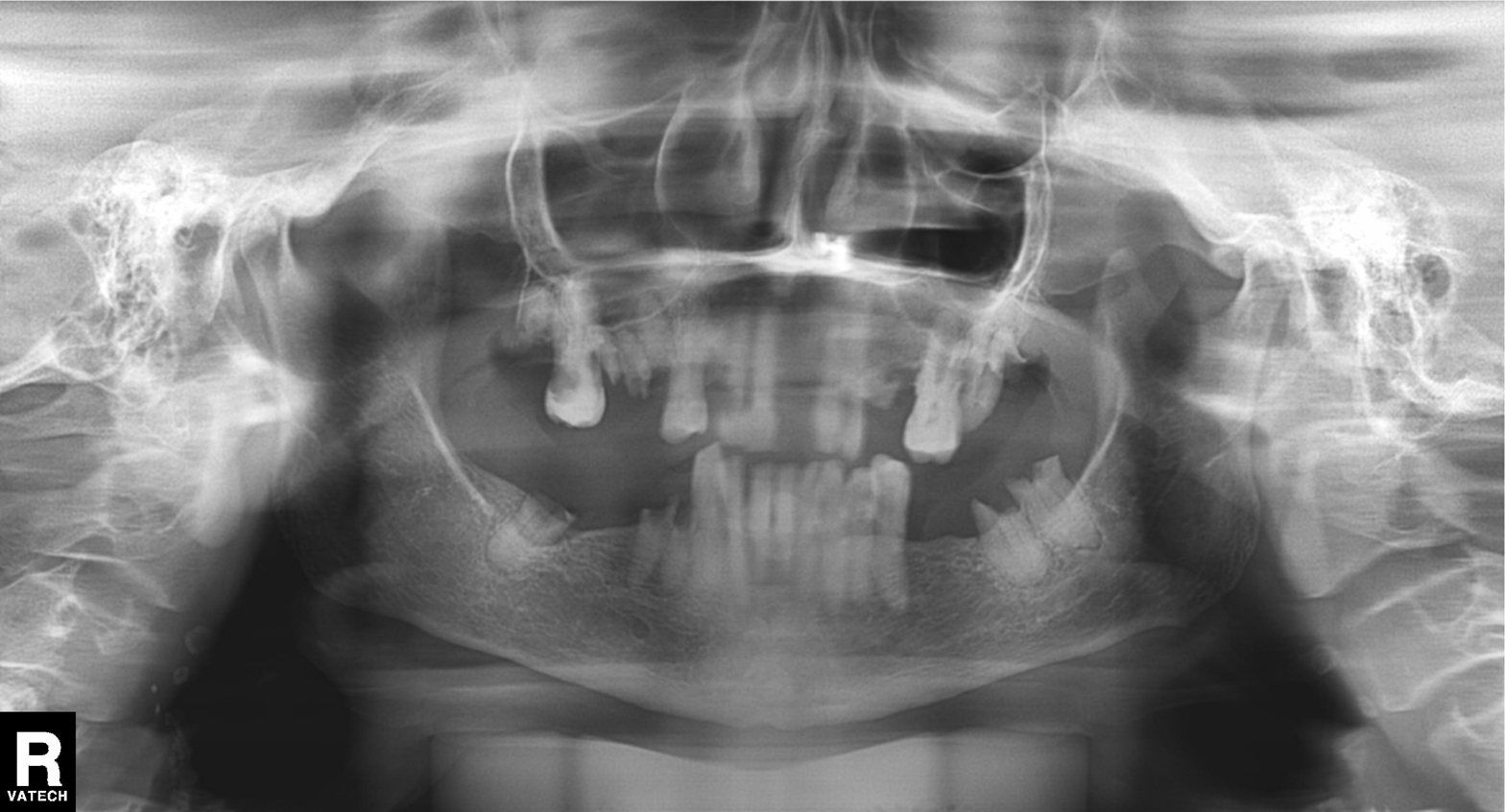
{"modality": "panoramic dental radiograph (orthopantomogram)", "finding": "alveolar bone loss"}